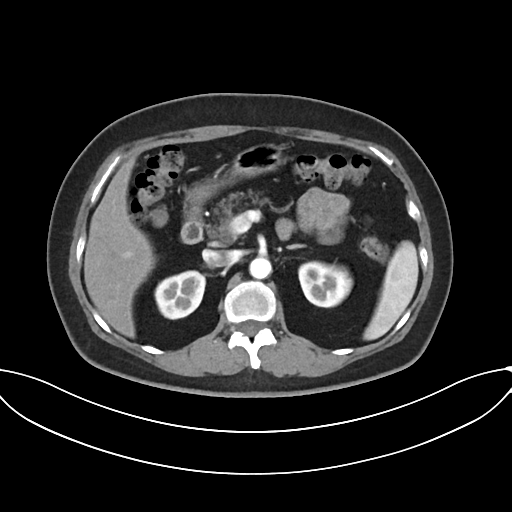
Q: What kind of scan is this?
A: Multiphase abdominal CT, liver, arterial phase.
Q: Patient?
A: Female, age 58.